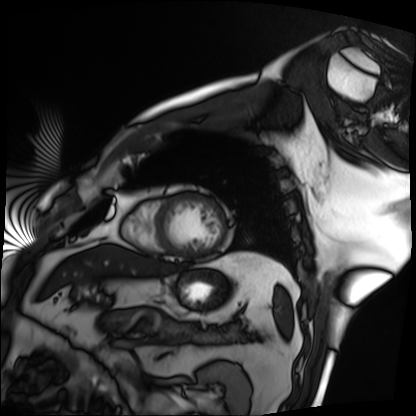
Clinical context: Cardiac MRI. Subject group: patient.